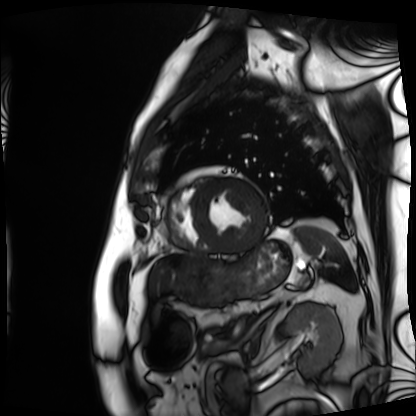
Cardiac MRI. Subject group: patient.